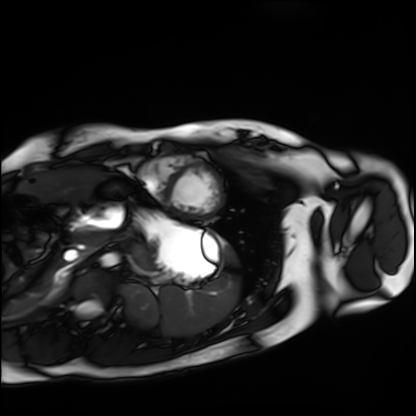
| field | value |
|---|---|
| modality | cardiac MRI |
| subject group | healthy volunteer |